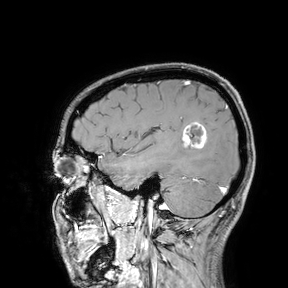
Q: What kind of scan is this?
A: 3 Tesla brain MRI.
Study: ring-enhancing brain masses.